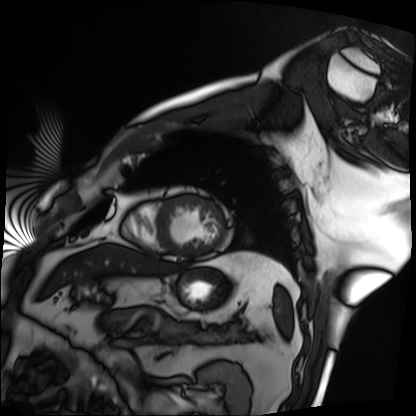
  modality: cardiac MRI
  cohort: patient